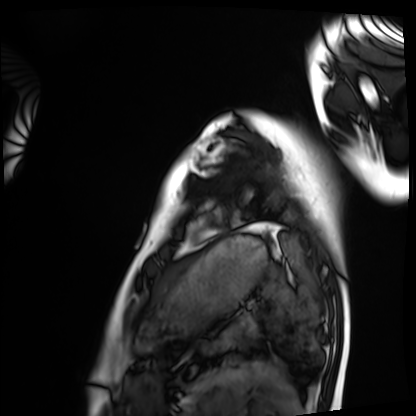
Case:
- modality · cardiac MRI
- subject group · healthy volunteer